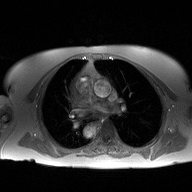
modality = 2D phase-contrast cine MRI of the ascending aorta.